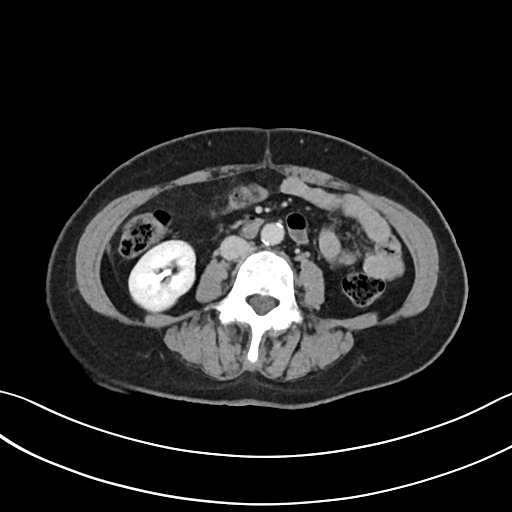
modality = multiphase abdominal CT, liver, delayed phase; patient = female, age 62; history = viral hepatitis.